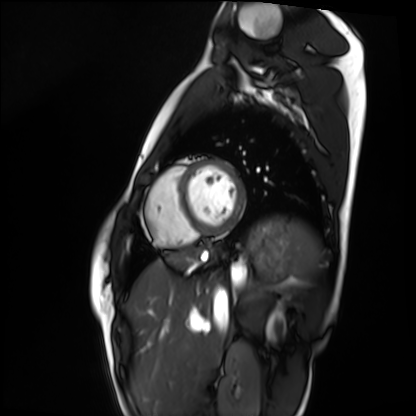
<study>
<modality>cardiac MRI</modality>
<cohort>healthy volunteer</cohort>
</study>